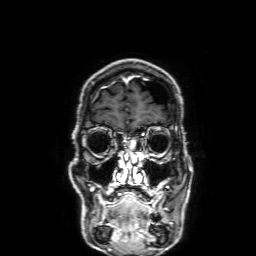
3 Tesla brain MRI. Series: 3D T1-weighted with SENSE. Study: ring-enhancing brain masses.